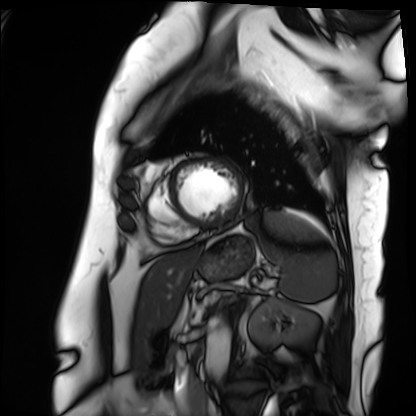
modality: cardiac MRI
subject group: patient